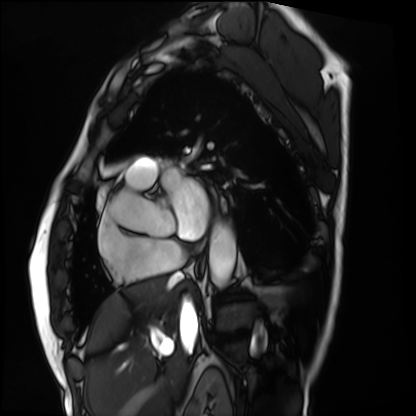
Summary:
Cardiac MRI. Subject group: patient.